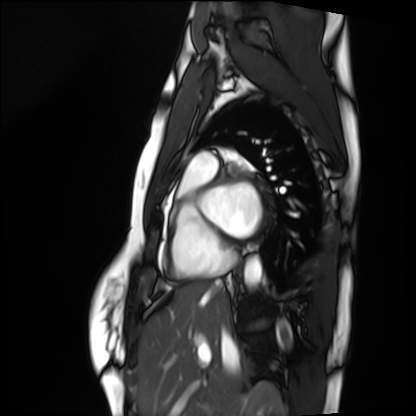
Cardiac MRI. Subject group: healthy volunteer.